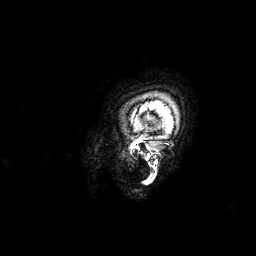
Q: What kind of scan is this?
A: 3 Tesla brain MRI.
Q: Series?
A: 3D T1-weighted.
Study: ring-enhancing brain masses.